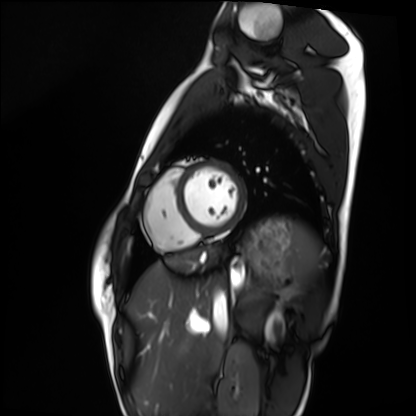
Q: What kind of scan is this?
A: Cardiac MRI.
Subject group: healthy volunteer.